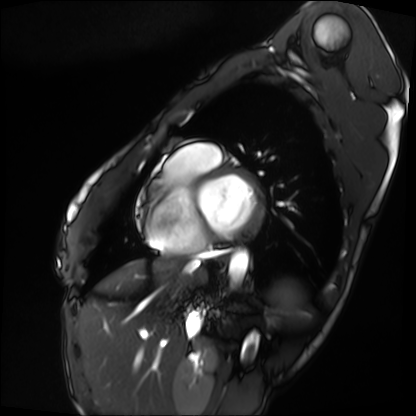
Cardiac MRI. Subject group: patient.